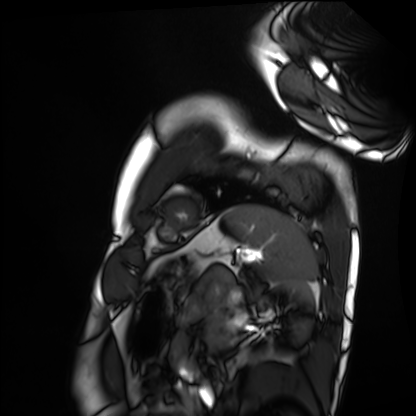
Q: What kind of scan is this?
A: Cardiac MRI.
Subject group: healthy volunteer.